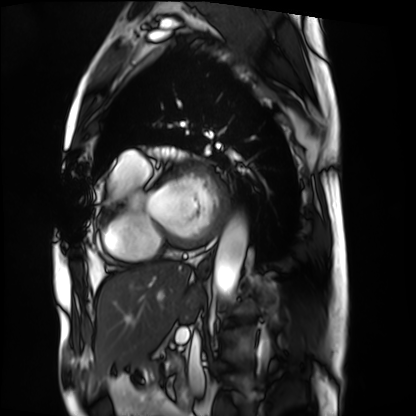
Summary:
Cardiac MRI. Subject group: patient.